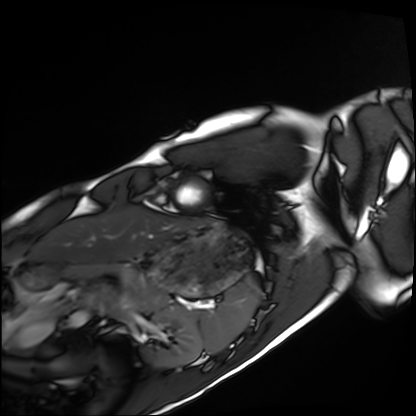
Case summary:
Cardiac MRI. Subject group: healthy volunteer.